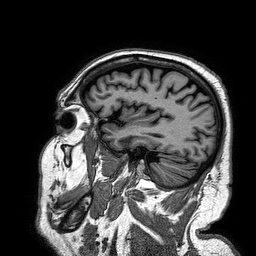
Case:
* modality — 3 Tesla brain MRI
* series — 3D T1-weighted turbo field echo
* study — ring-enhancing brain masses